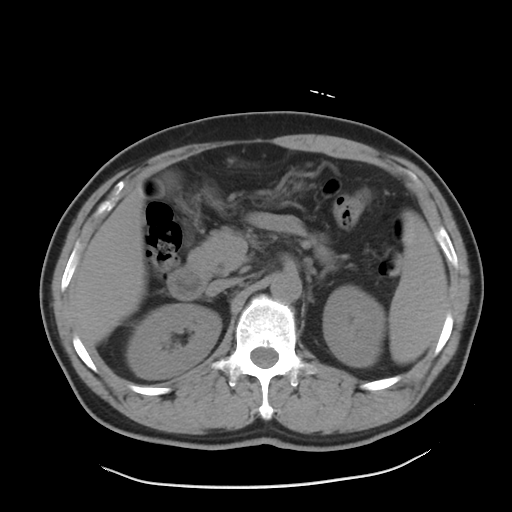
modality=multiphase abdominal CT, liver, non-contrast phase; patient=male, age 51; history=cirrhosis, viral hepatitis.